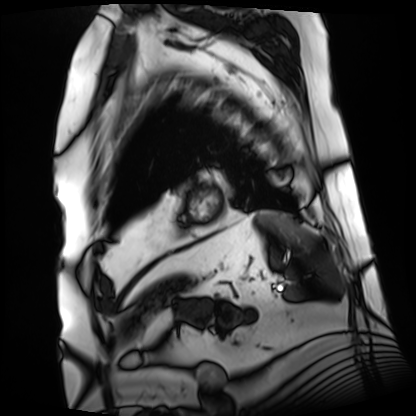
• modality · cardiac MRI
• subject group · patient